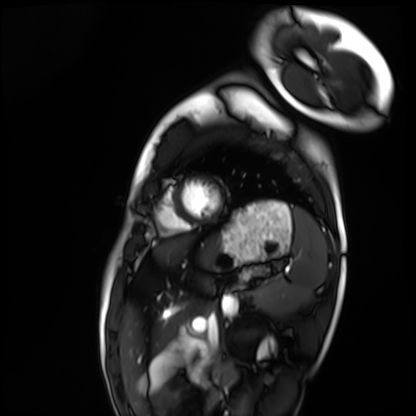
Cardiac MRI. Subject group: healthy volunteer.